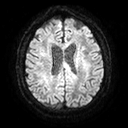
Summary:
3 Tesla brain MRI. Series: diffusion tensor imaging (medium iso). Study: ring-enhancing brain masses.